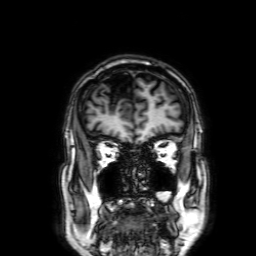
Summary: 3 Tesla brain MRI. Series: 3D T1-weighted with SENSE. Study: ring-enhancing brain masses.